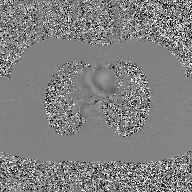
2D phase-contrast cine MRI of the ascending aorta, GAN super-resolution reconstruction.